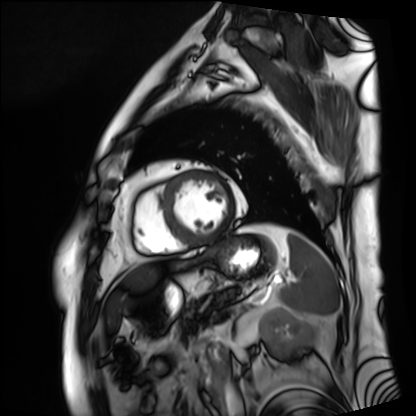
modality — cardiac MRI; subject group — patient.